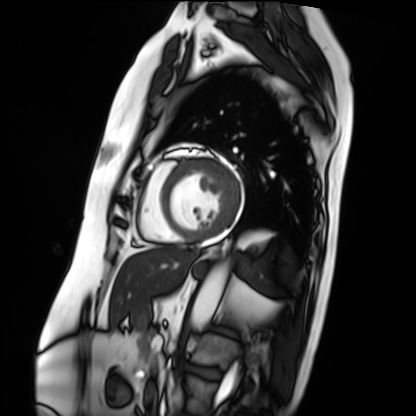
{"modality": "cardiac MRI", "cohort": "patient"}